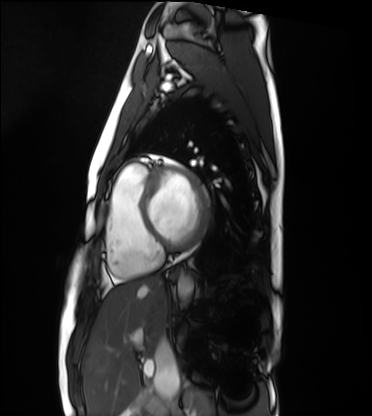
Cardiac MRI.
Subject group: healthy volunteer.